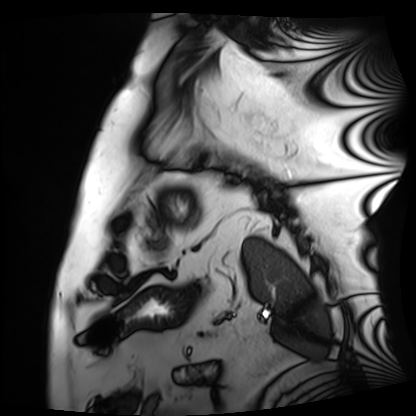
Cardiac MRI. Subject group: patient.